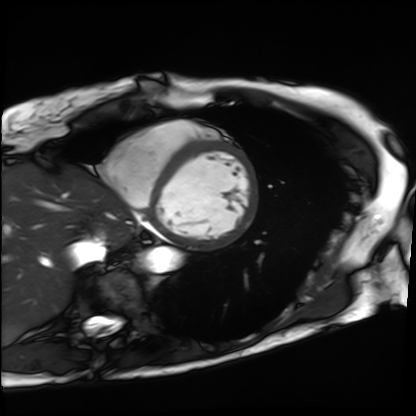
Q: What kind of scan is this?
A: Cardiac MRI.
Subject group: patient.